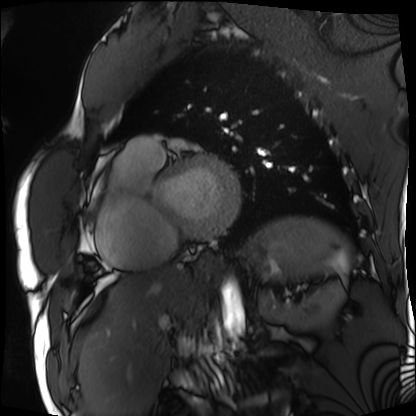
{
  "modality": "cardiac MRI",
  "cohort": "patient"
}